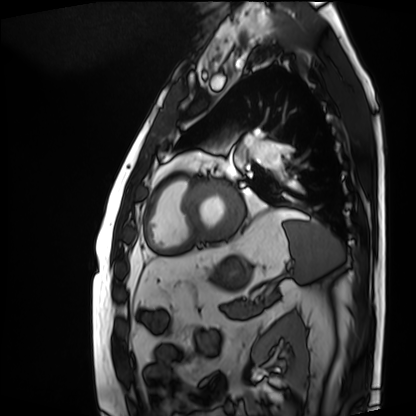
- modality: cardiac MRI
- subject group: patient